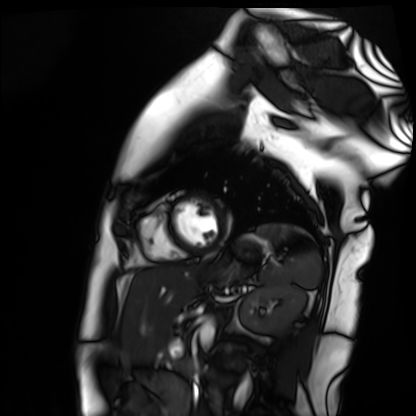
Cardiac MR image of the myocardium. Subject cohort: healthy volunteer.